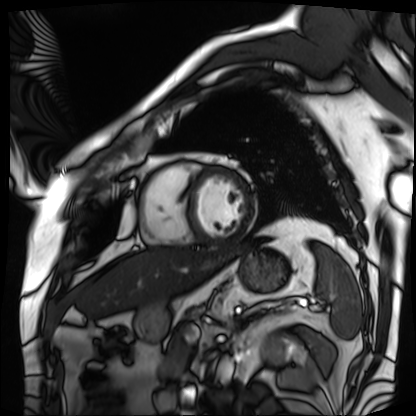
Case:
* modality · cardiac MRI
* subject group · patient